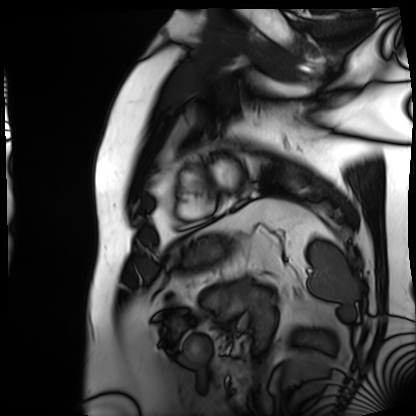
Clinical context:
Cardiac MRI. Subject group: patient.